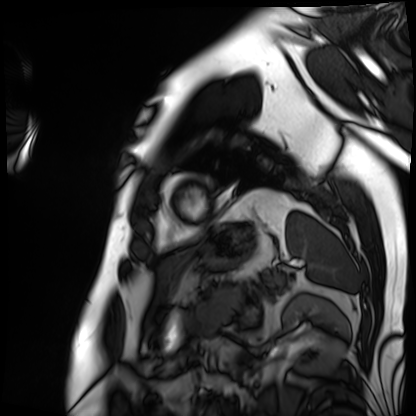
Case summary: Cardiac MRI. Subject group: patient.